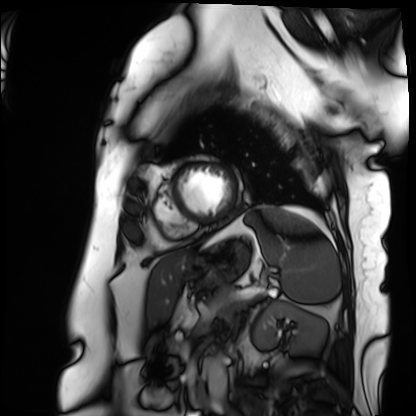
  modality: cardiac MRI
  cohort: patient